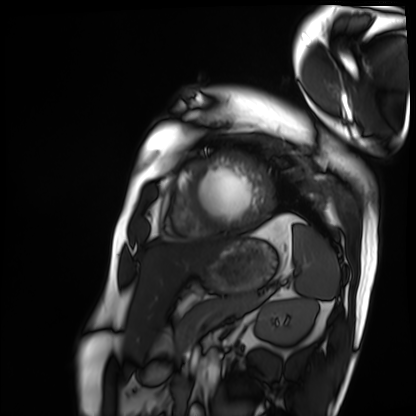
Summary: Cardiac MRI. Subject group: patient.